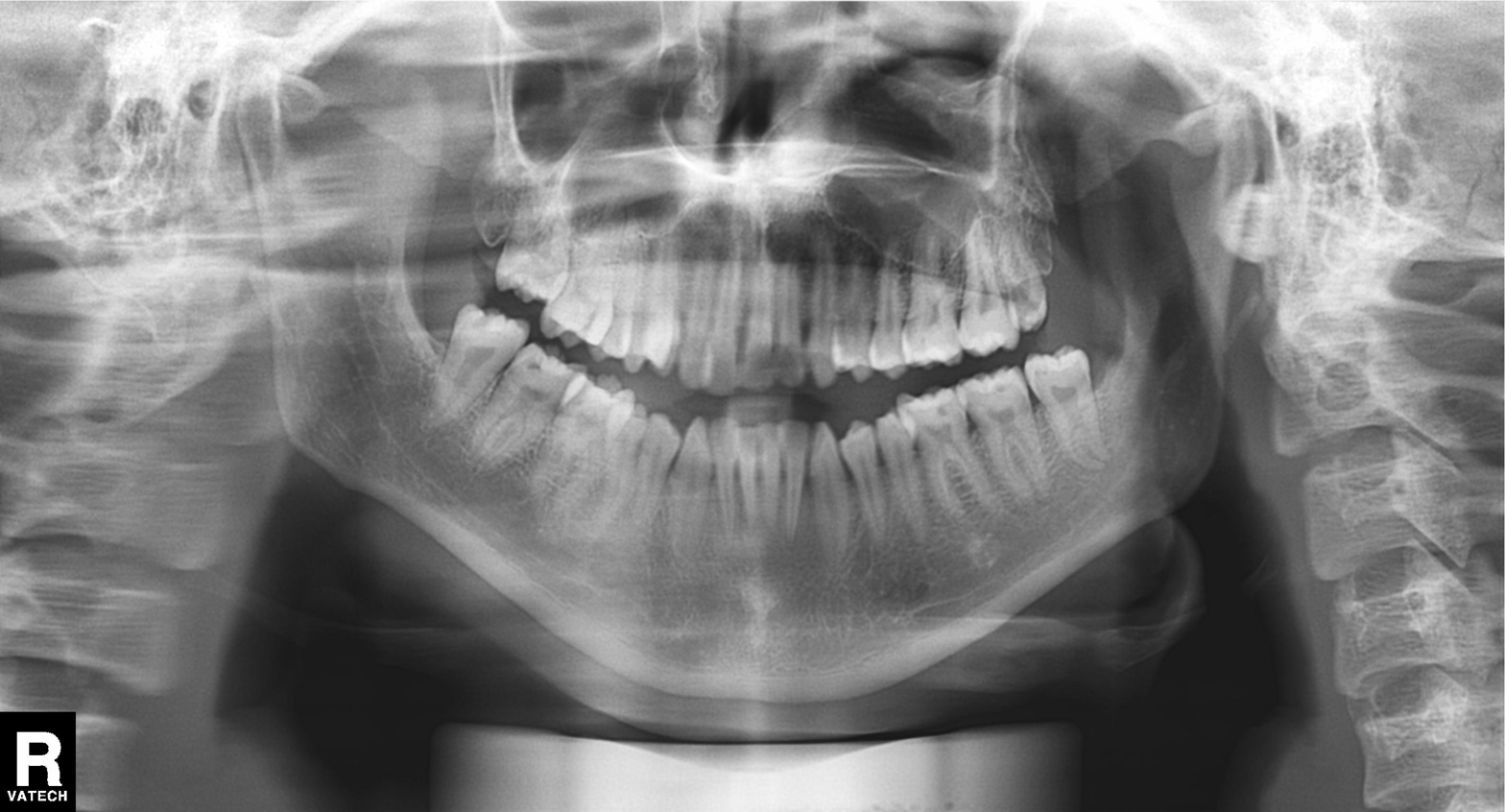
Panoramic dental radiograph (orthopantomogram). Finding: tooth impaction.